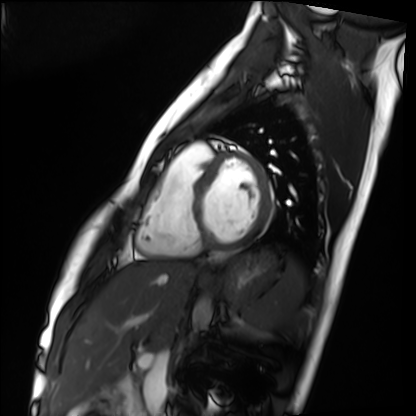
Case summary: Cardiac MRI. Subject group: healthy volunteer.